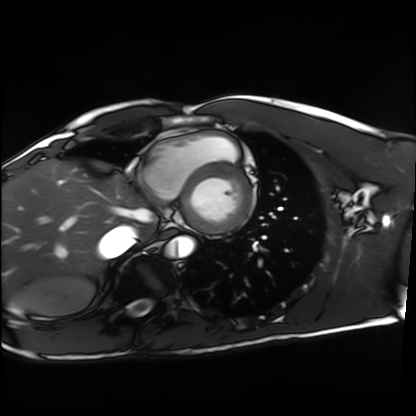
Cardiac MRI.
Subject group: healthy volunteer.